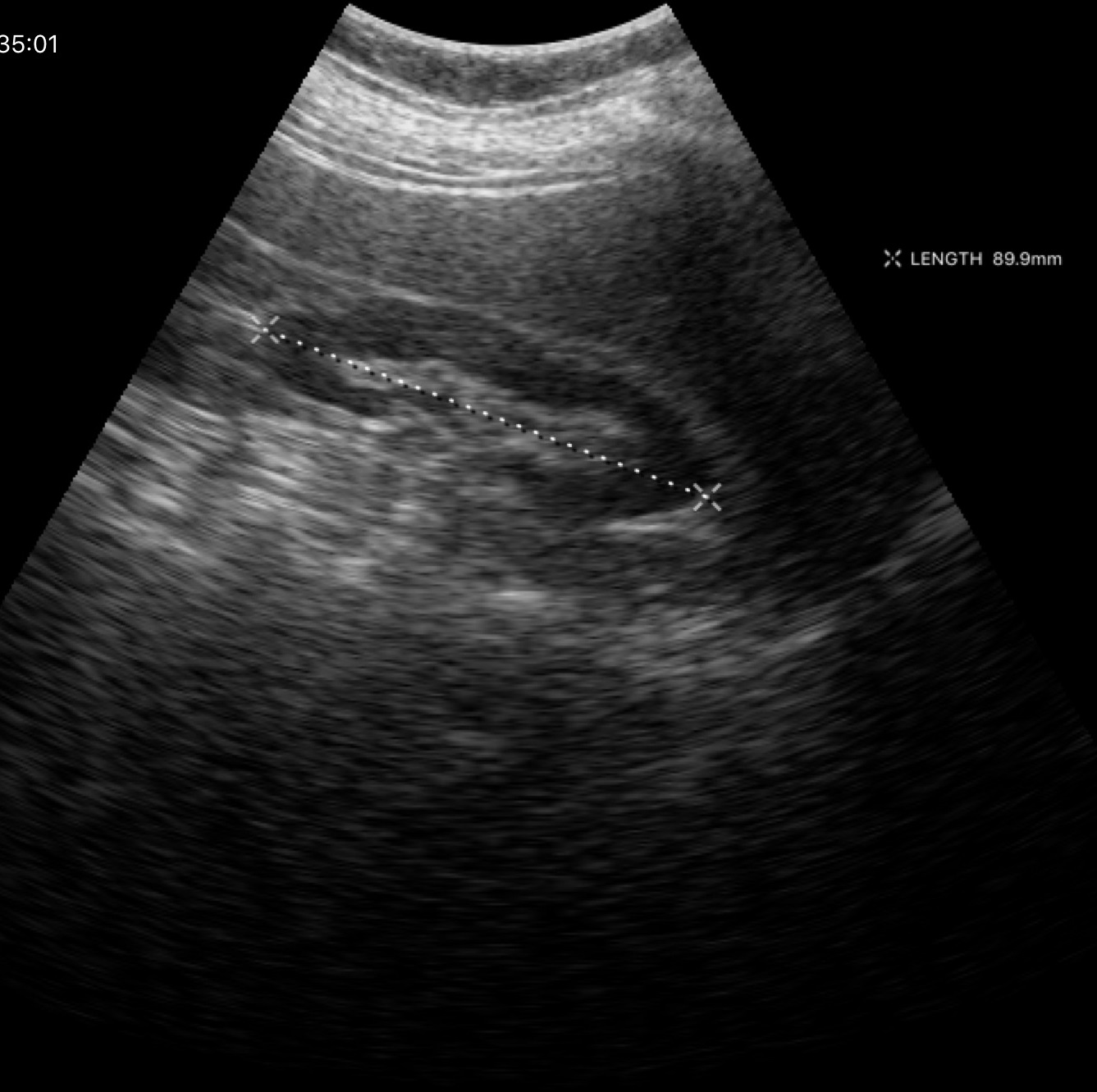
modality — genitourinary ultrasound.